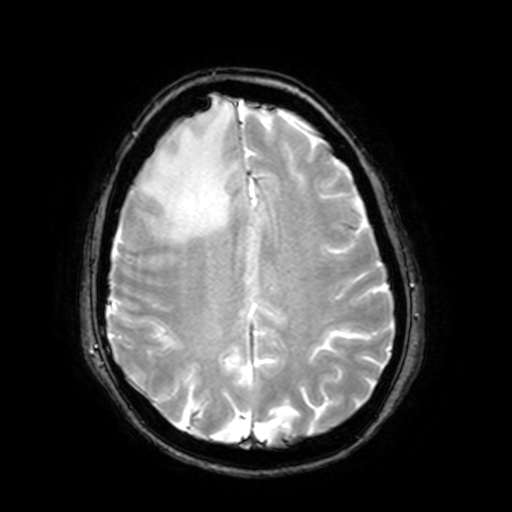
3 Tesla brain MRI.
Series: T2-weighted fast field echo with SENSE.
Study: ring-enhancing brain masses.